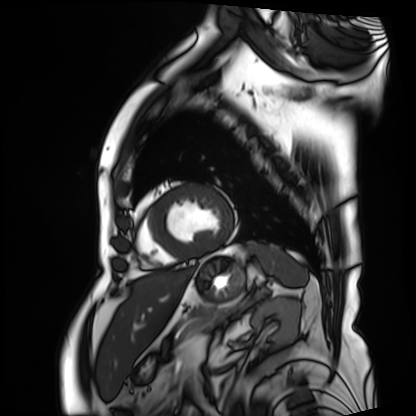
Cardiac MRI. Subject group: patient.